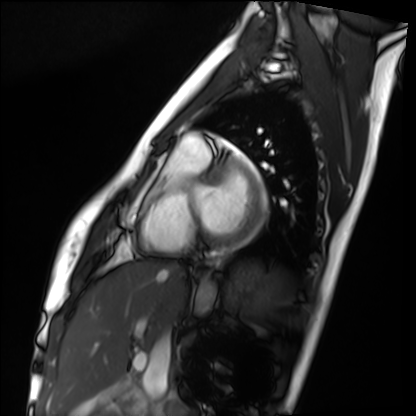
Q: What kind of scan is this?
A: Cardiac MRI.
Subject group: healthy volunteer.